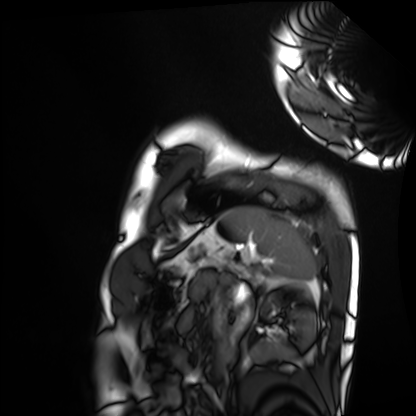
Summary: Cardiac MRI. Subject group: healthy volunteer.